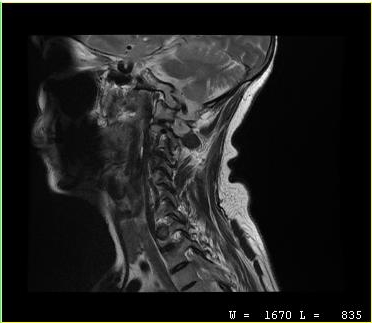
Case summary:
MRI of the cervical spine. Study: cervical spondylosis.